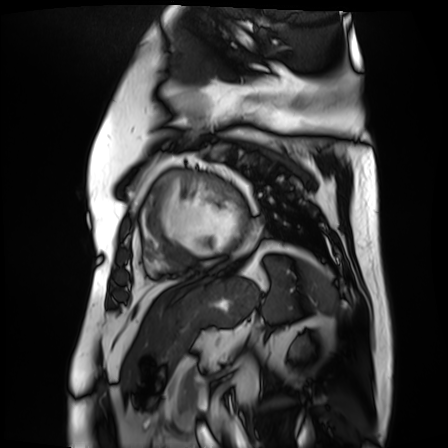
Summary:
Cardiac MR image of the myocardium. Subject cohort: cardiac patient.